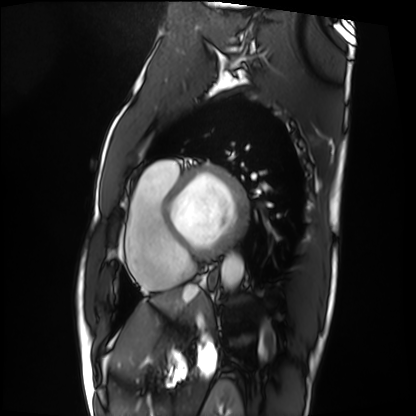
Clinical context:
Cardiac MRI. Subject group: patient.